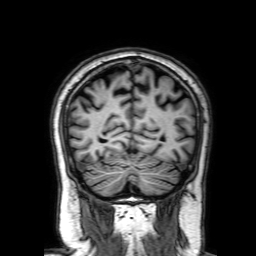
<record>
  <modality>
    <type>brain MRI</type>
    <field_strength>3T</field_strength>
  </modality>
  <series>3D T1-weighted with SENSE</series>
  <study_topic>ring-enhancing brain masses</study_topic>
</record>